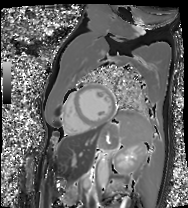
modality: cardiac MRI
cohort: patient